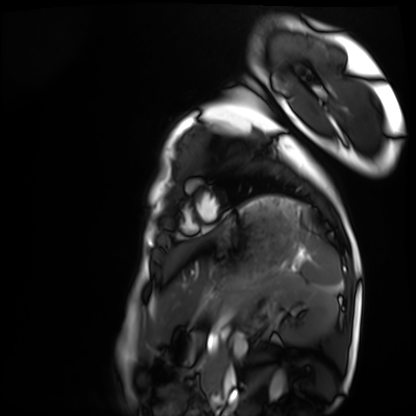
modality = cardiac MRI
subject group = healthy volunteer